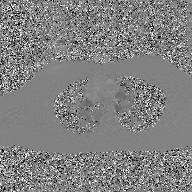
Case summary: 2D phase-contrast cine MRI of the ascending aorta, GAN super-resolution reconstruction.